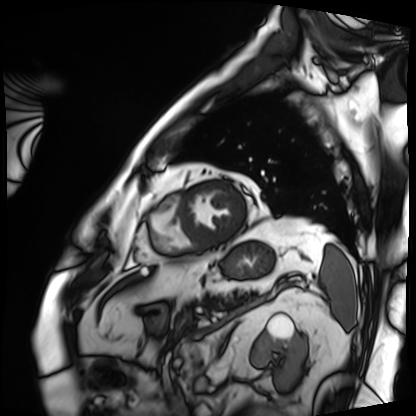
Summary:
Cardiac MRI. Subject group: patient.